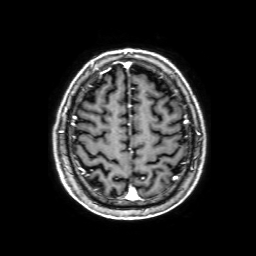
Q: What kind of scan is this?
A: 3 Tesla brain MRI.
Study: ring-enhancing brain masses.